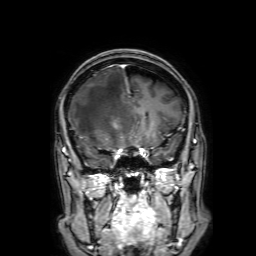
Case:
• modality: 3 Tesla brain MRI
• series: 3D T1-weighted with SENSE
• study: ring-enhancing brain masses